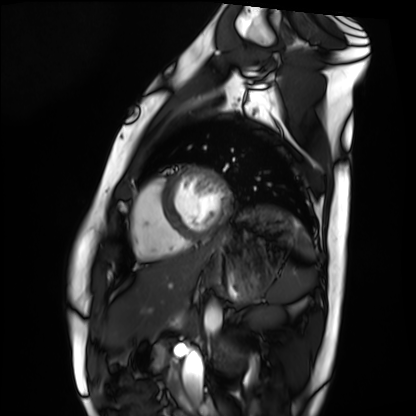
Cardiac MRI. Subject group: healthy volunteer.